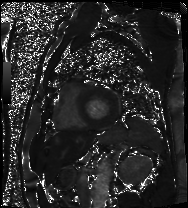
- modality: cardiac MRI
- subject group: patient